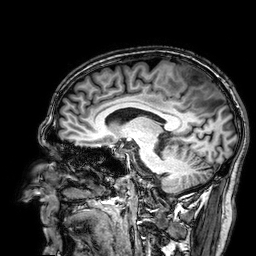
Summary:
3 Tesla brain MRI. Series: 3D T1-weighted. Study: ring-enhancing brain masses.